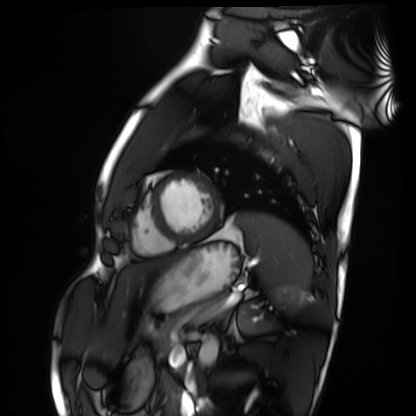
Case summary:
Cardiac MRI. Subject group: healthy volunteer.